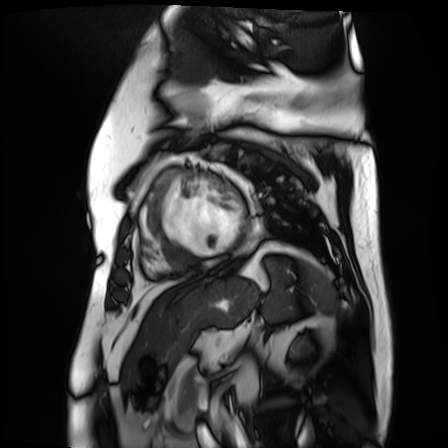
• modality: cardiac MR image of the myocardium
• subject cohort: cardiac patient